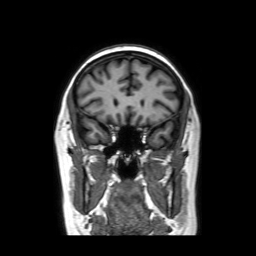
* modality · 3 Tesla brain MRI
* series · coronal without contrast
* study · ring-enhancing brain masses